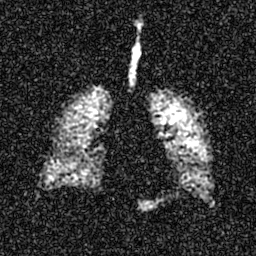
Case summary: Hyperpolarized 129Xe ventilation MRI of the lungs. SNR level 6 of 8 (the deposit holds this scan as its native image and as seven SNR-degraded versions).